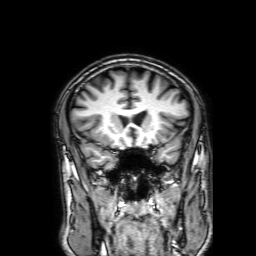
{
  "modality": {
    "type": "brain MRI",
    "field_strength": "3T"
  },
  "series": "3D T1-weighted with SENSE",
  "study_topic": "ring-enhancing brain masses"
}